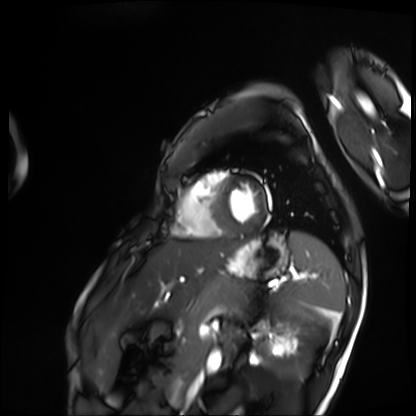
modality = cardiac MRI, subject group = patient.